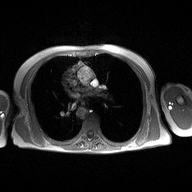
2D phase-contrast cine MRI of the ascending aorta, high-resolution GRAPPA acquisition.